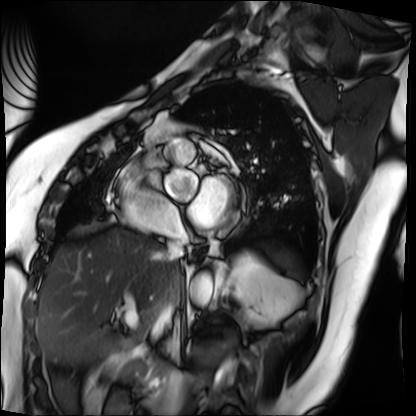
Summary:
Cardiac MRI. Subject group: patient.